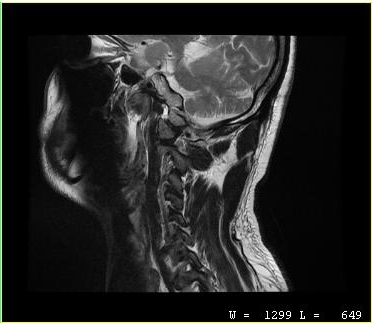
modality: MRI of the cervical spine
study: cervical spondylosis